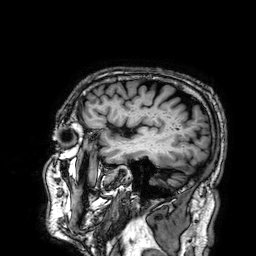
3 Tesla brain MRI. Series: 3D T1-weighted. Study: ring-enhancing brain masses.